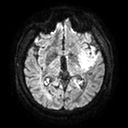
Q: What kind of scan is this?
A: 3 Tesla brain MRI.
Study: ring-enhancing brain masses.